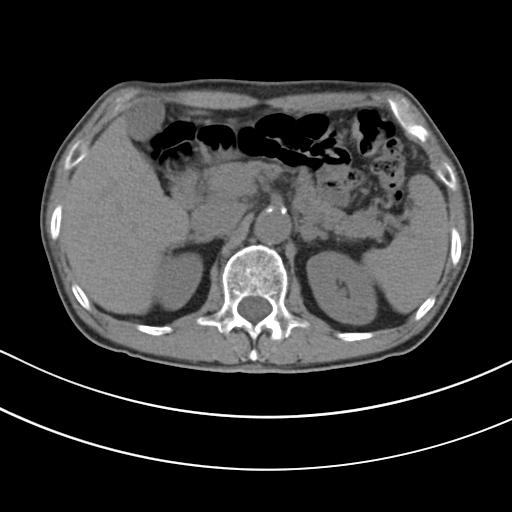
Multiphase abdominal CT, liver, non-contrast phase.
Patient: male, age 80.
History: cirrhosis, viral hepatitis.